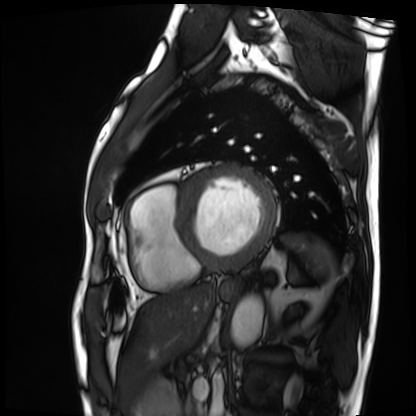
modality: cardiac MRI, subject group: patient.